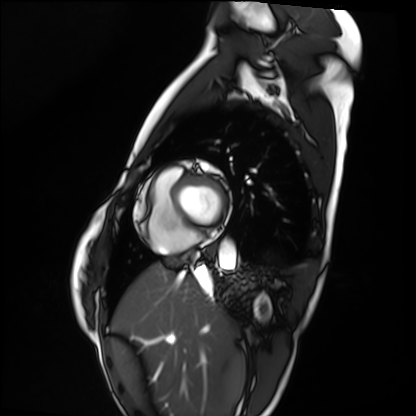
Cardiac MRI. Subject group: healthy volunteer.